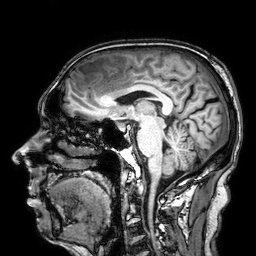
modality:
  type: brain MRI
  field_strength: 3T
series: 3D T1-weighted
study_topic: ring-enhancing brain masses